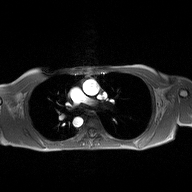
modality: 2D phase-contrast cine MRI of the ascending aorta.